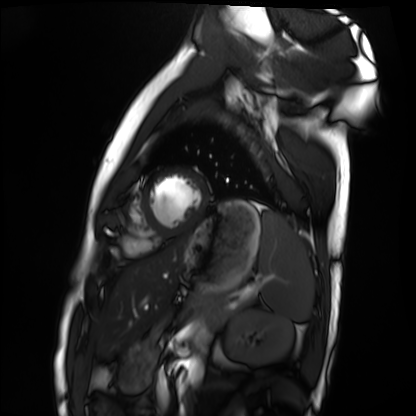
<study>
<modality>cardiac MRI</modality>
<cohort>healthy volunteer</cohort>
</study>